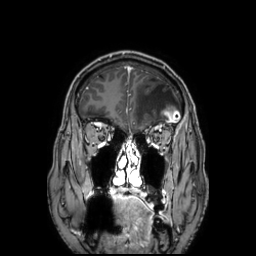
<record>
  <modality>
    <type>brain MRI</type>
    <field_strength>3T</field_strength>
  </modality>
  <series>3D T1-weighted TFE with SENSE</series>
  <study_topic>ring-enhancing brain masses</study_topic>
</record>